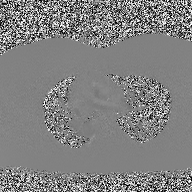
Q: What kind of scan is this?
A: 2D phase-contrast cine MRI of the ascending aorta.